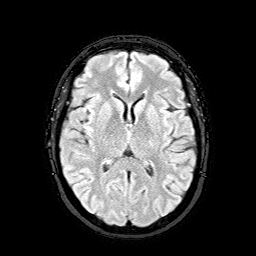
Q: What kind of scan is this?
A: 3 Tesla brain MRI.
Q: Series?
A: FLAIR with SPAIR.
Study: ring-enhancing brain masses.